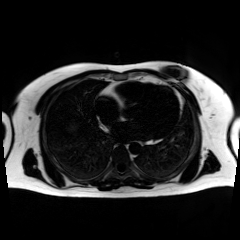
{"modality": "chemical-shift-encoded cardiac MRI"}